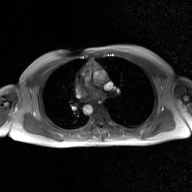
| field | value |
|---|---|
| modality | 2D phase-contrast cine MRI of the ascending aorta, GAN super-resolution reconstruction |